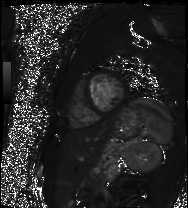
- modality · cardiac MR image of the myocardium
- subject cohort · healthy volunteer